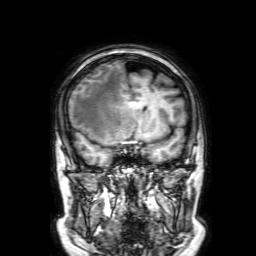
3 Tesla brain MRI.
Study: ring-enhancing brain masses.